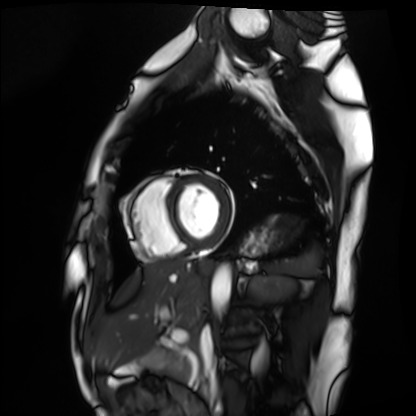
Cardiac MRI.
Subject group: healthy volunteer.